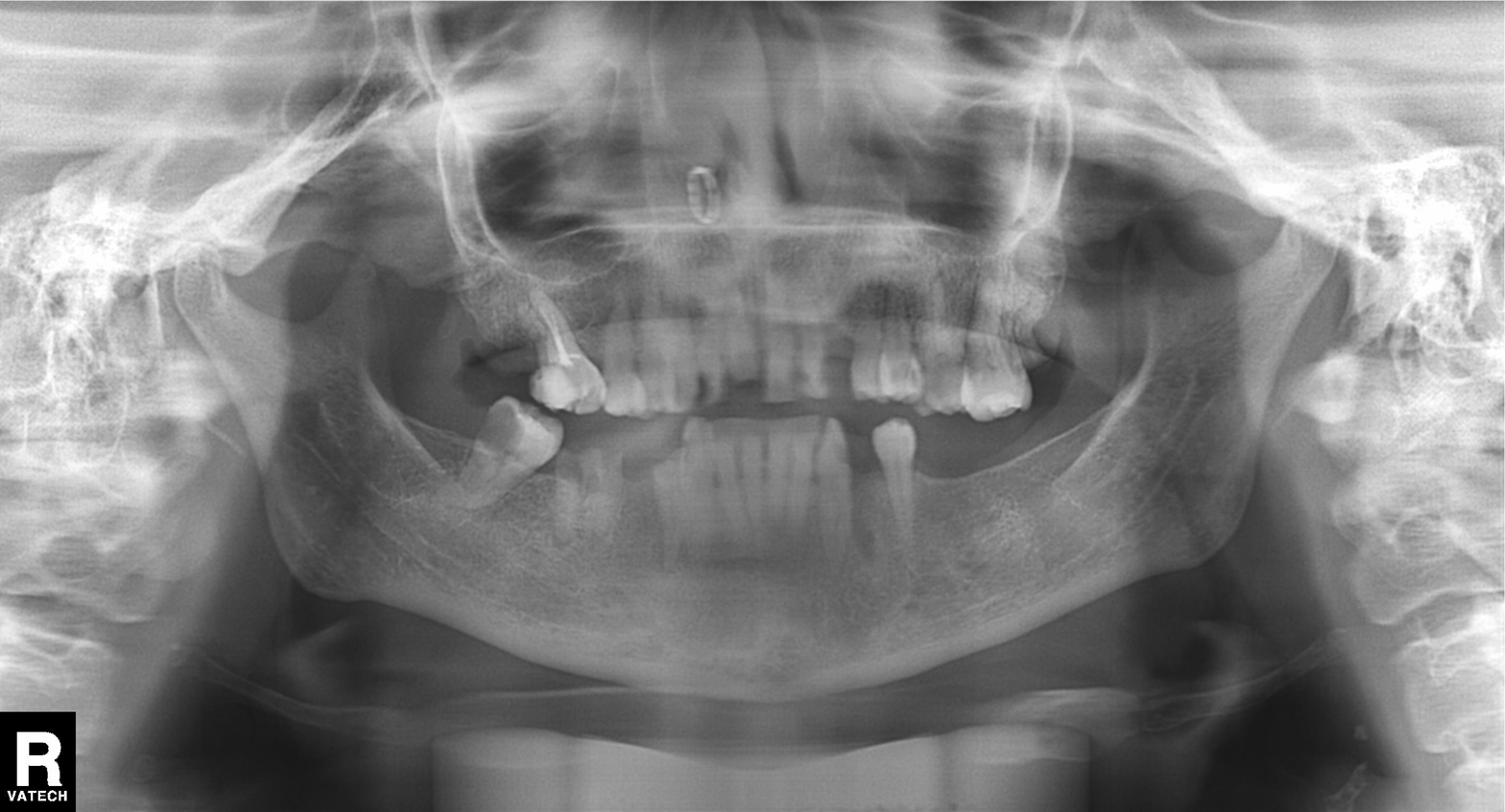
Summary: Panoramic dental radiograph (orthopantomogram).
Diagnosis: Tooth impaction.